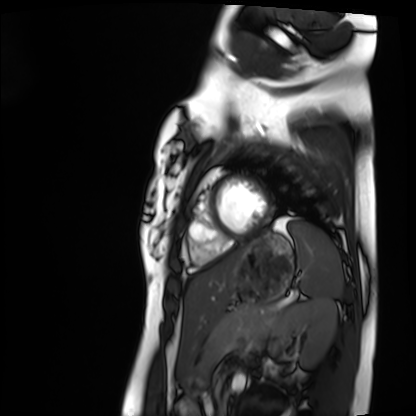
Cardiac MRI.
Subject group: healthy volunteer.